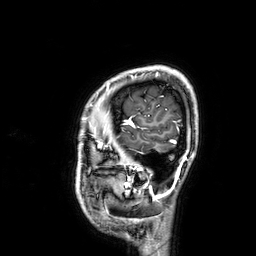
{
  "modality": {
    "type": "brain MRI",
    "field_strength": "3T"
  },
  "series": "3D T1-weighted",
  "study_topic": "ring-enhancing brain masses"
}